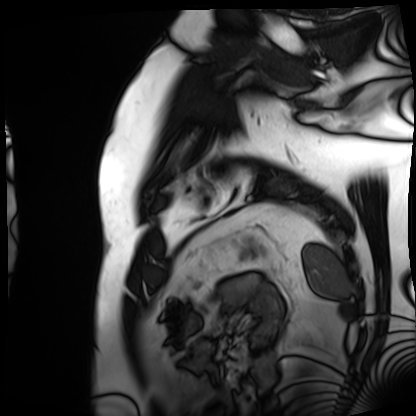
Cardiac MRI.
Subject group: patient.